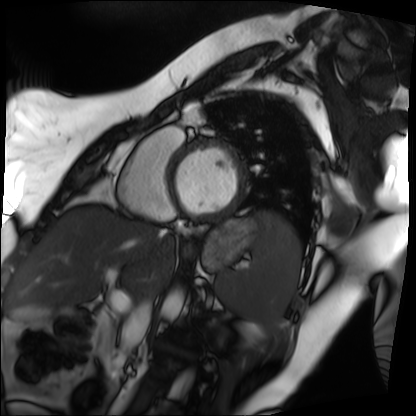
Case summary:
Cardiac MRI. Subject group: patient.